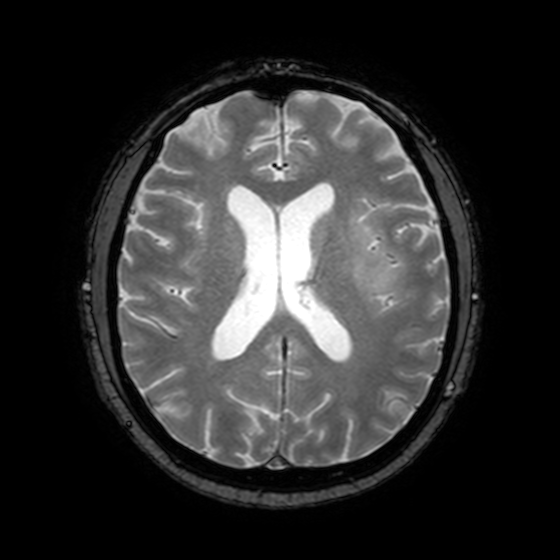
modality — 3 Tesla brain MRI; series — T2-weighted fast field echo with SENSE; study — ring-enhancing brain masses.